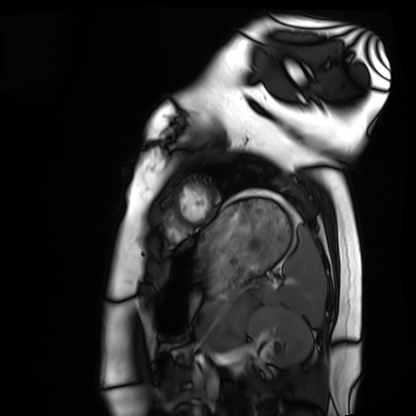
Clinical context:
Cardiac MRI. Subject group: healthy volunteer.